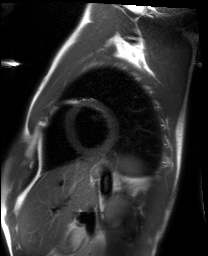
Q: What kind of scan is this?
A: Cardiac MRI.
Subject group: healthy volunteer.